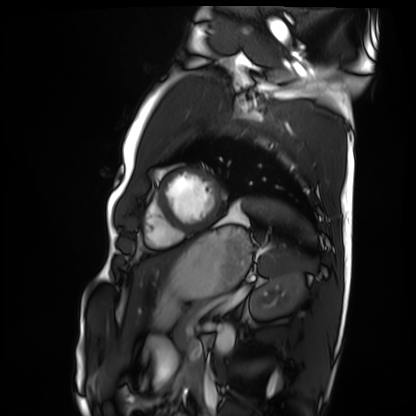
Summary:
Cardiac MRI. Subject group: healthy volunteer.